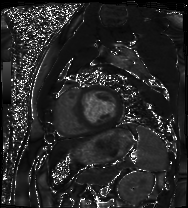
Cardiac MRI. Subject group: patient.